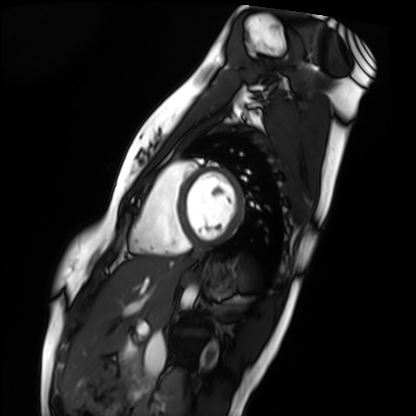
Clinical context:
Cardiac MRI. Subject group: healthy volunteer.